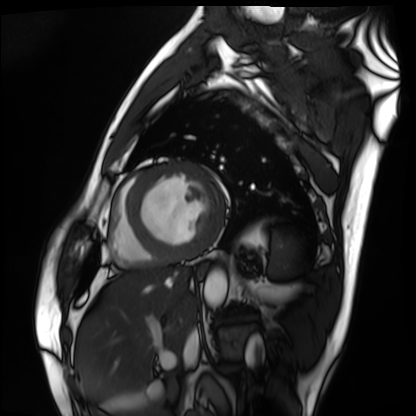
  modality: cardiac MRI
  cohort: patient